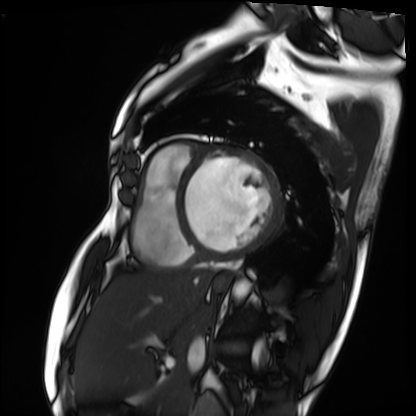
Summary: Cardiac MRI. Subject group: patient.